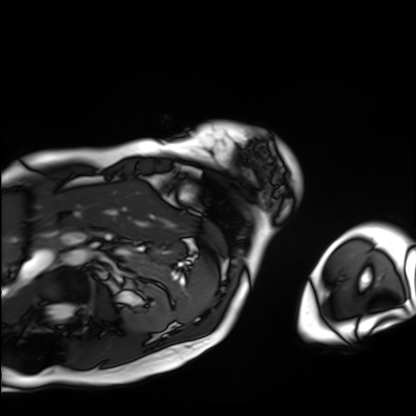
Cardiac MRI.
Subject group: patient.